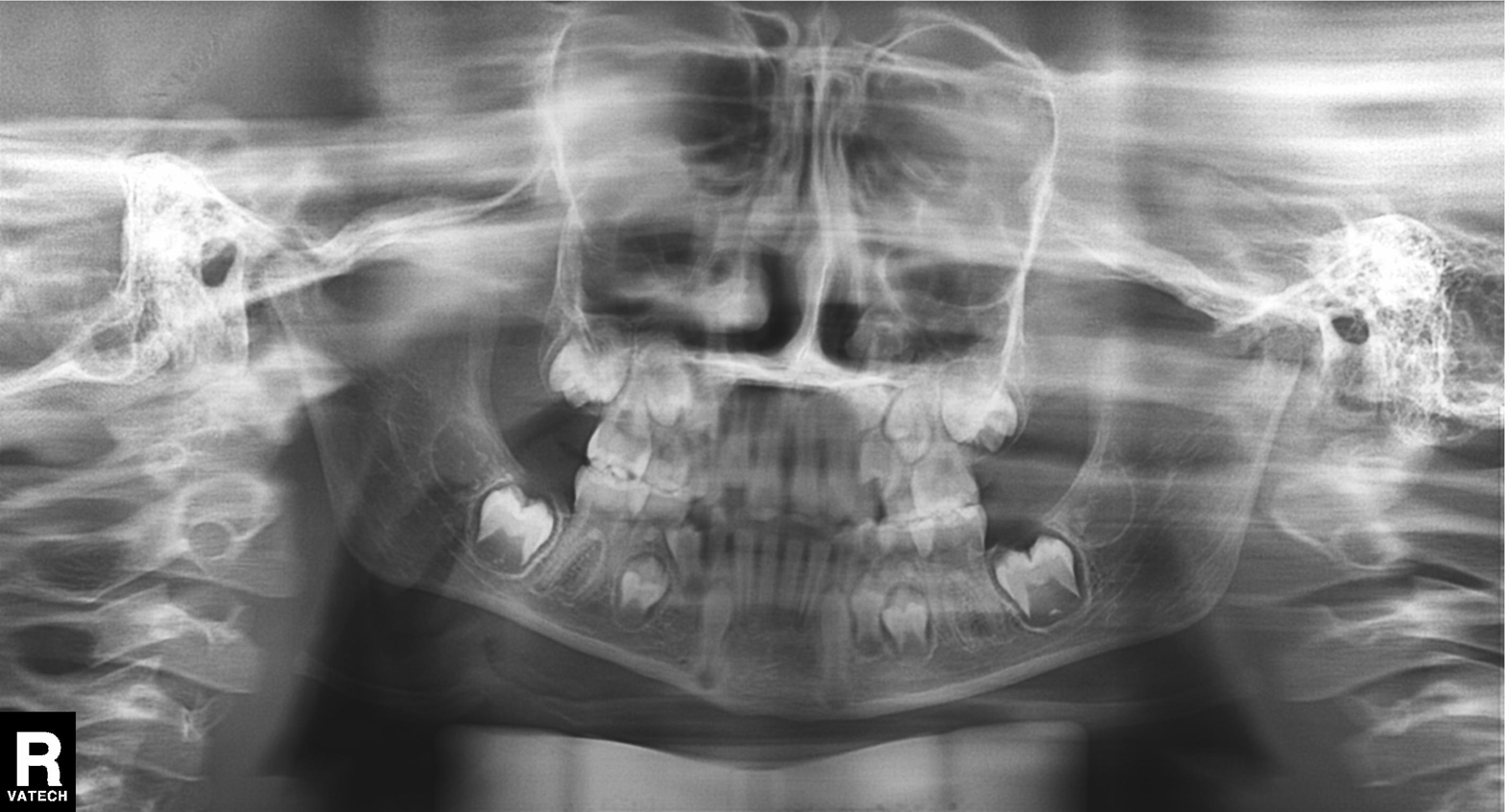
Clinical context:
Panoramic dental radiograph (orthopantomogram).
Diagnosis:
Tooth impaction.